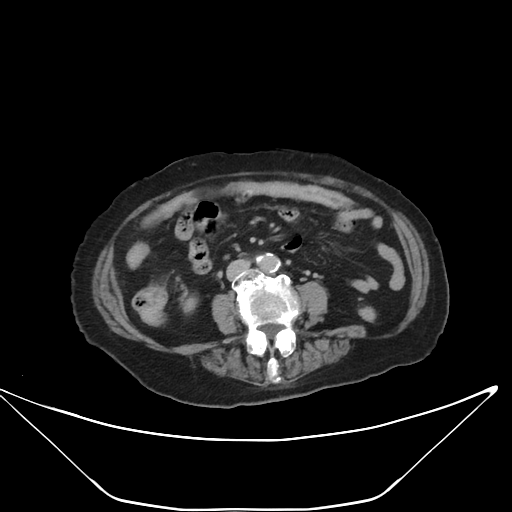
Multiphase abdominal CT, liver, delayed phase. Patient: female, age 86.